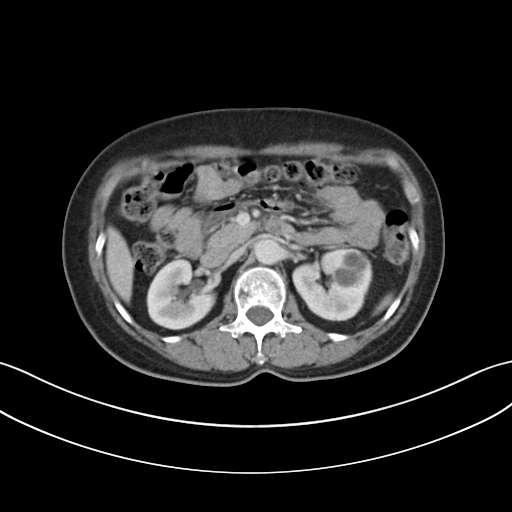
| field | value |
|---|---|
| modality | multiphase abdominal CT, liver, portal venous phase |
| patient | female, age 61 |